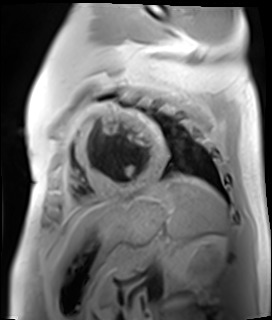
modality: cardiac MR image of the myocardium | subject cohort: cardiac patient.